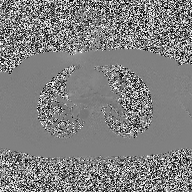
  modality:
    type: 2D phase-contrast cine MRI
    region: ascending aorta
    reconstruction: high-resolution GRAPPA acquisition